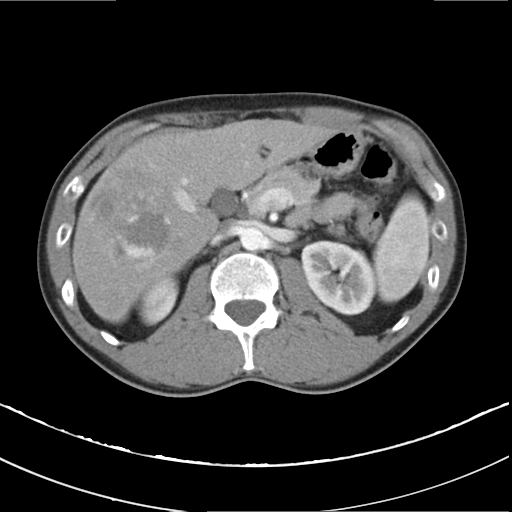
• modality · multiphase abdominal CT, liver, arterial phase
• patient · male, age 37